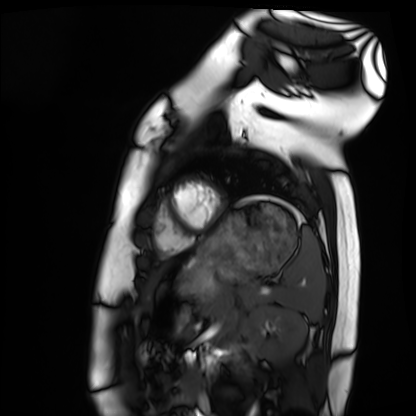
| field | value |
|---|---|
| modality | cardiac MRI |
| subject group | healthy volunteer |